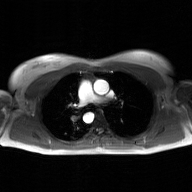
{
  "modality": {
    "type": "2D phase-contrast cine MRI",
    "region": "ascending aorta",
    "reconstruction": "GAN super-resolution reconstruction"
  }
}